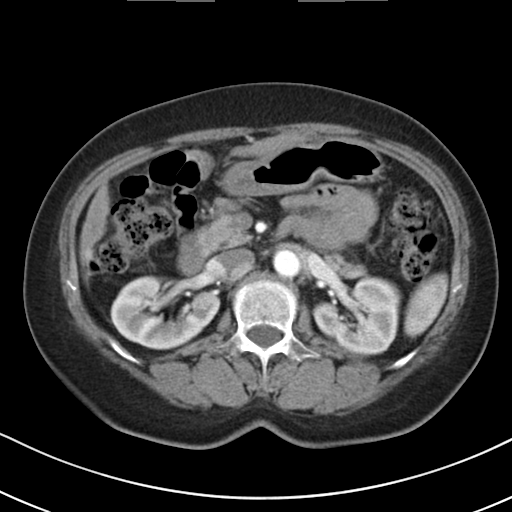
modality = multiphase abdominal CT, liver, arterial phase | patient = female, age 61 | history = cirrhosis, viral hepatitis.